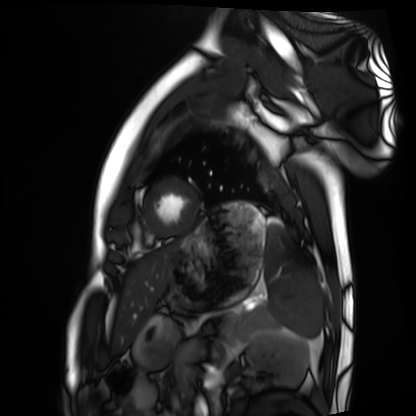
modality: cardiac MRI
cohort: healthy volunteer